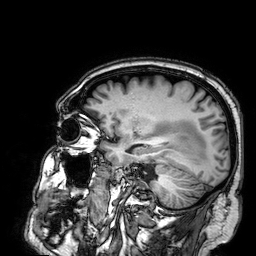
3 Tesla brain MRI. Series: 3D T1-weighted. Study: ring-enhancing brain masses.